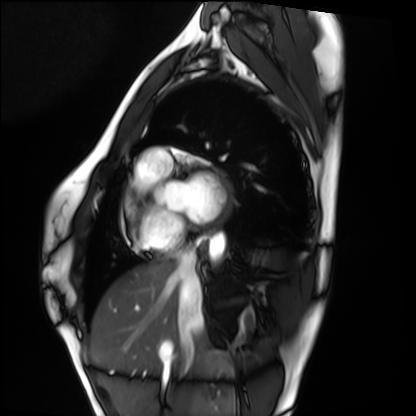
Cardiac MRI. Subject group: healthy volunteer.